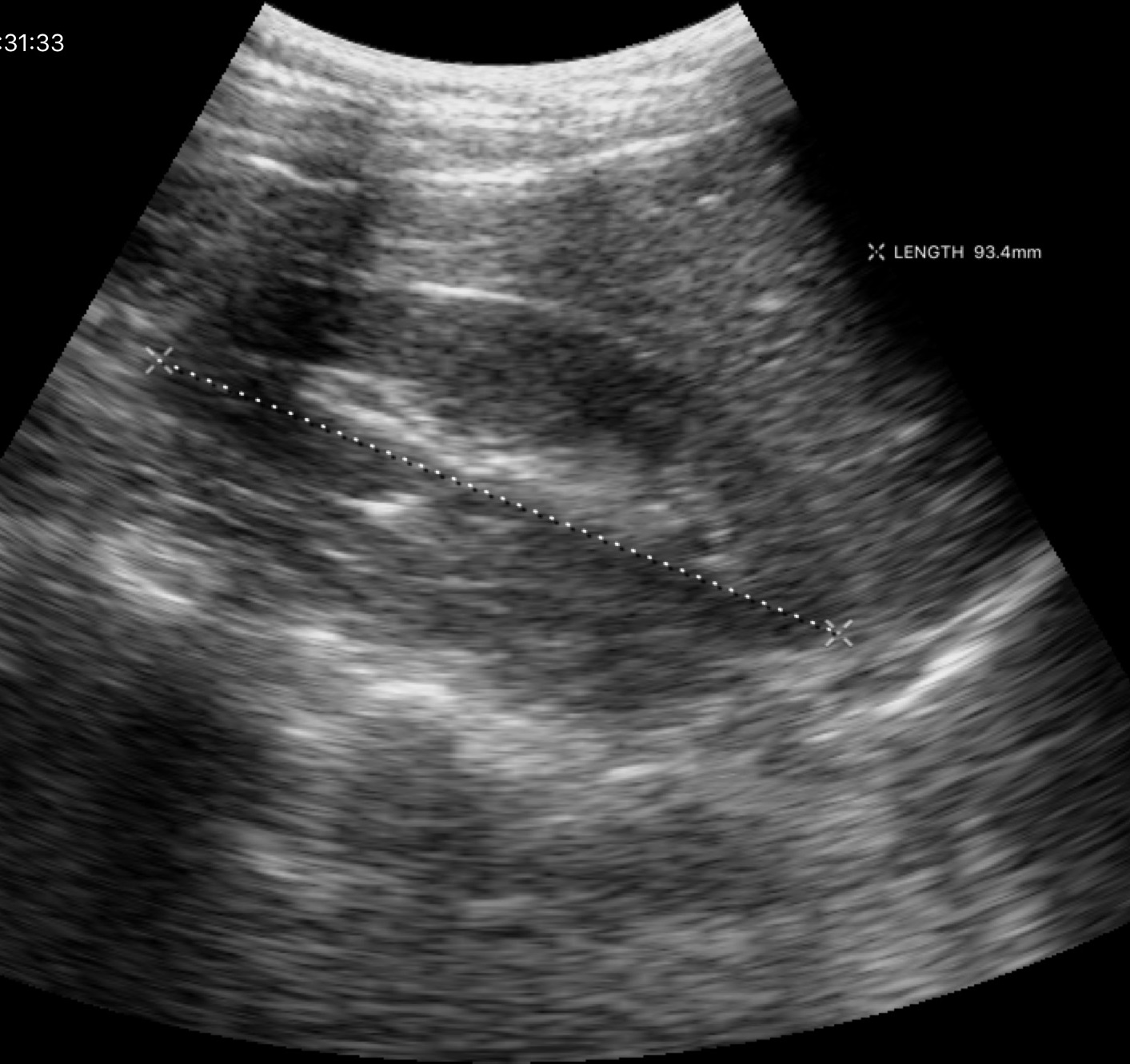
Q: What kind of scan is this?
A: Genitourinary ultrasound.